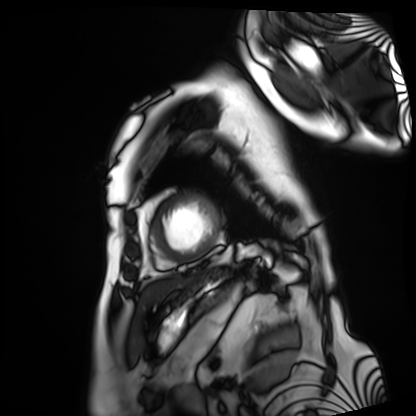
{"modality": "cardiac MRI", "cohort": "patient"}